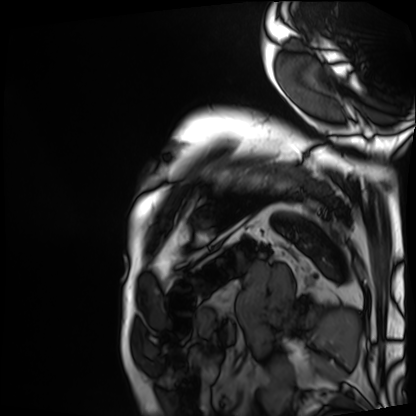
Summary: Cardiac MRI. Subject group: patient.